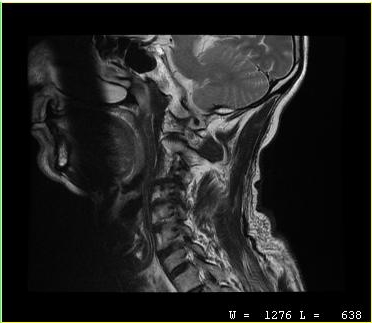
modality = MRI of the cervical spine | study = cervical spondylosis.